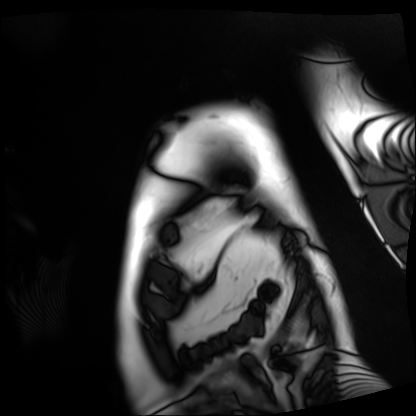
Cardiac MRI. Subject group: patient.